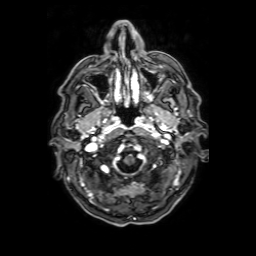
3 Tesla brain MRI. Series: axial T1-weighted fusion image. Study: ring-enhancing brain masses.